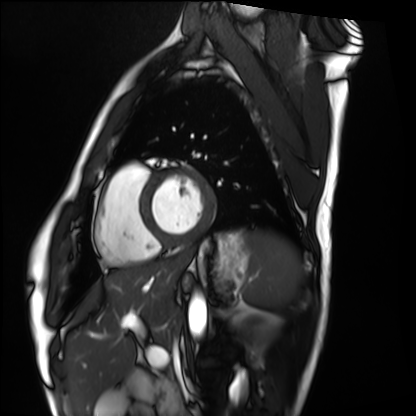
modality — cardiac MRI
subject group — healthy volunteer